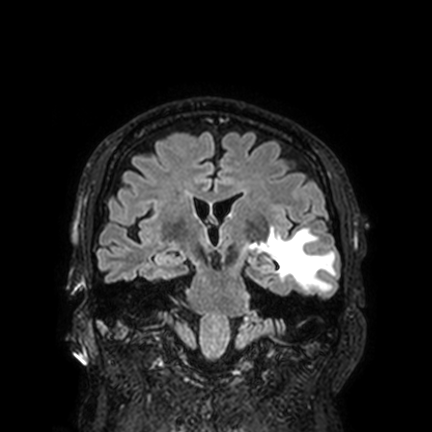
modality: 3 Tesla brain MRI | series: FLAIR VISTA with SENSE | study: ring-enhancing brain masses.